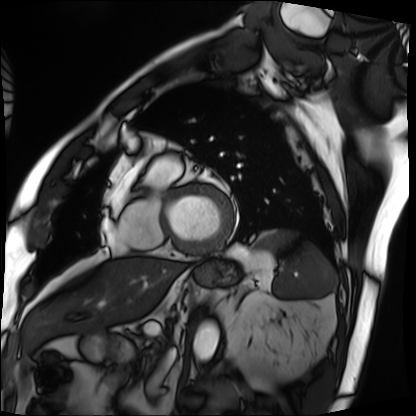
Cardiac MRI. Subject group: patient.